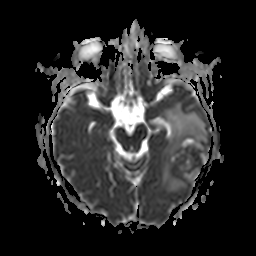
3 Tesla brain MRI. Series: apparent diffusion coefficient (ADC) map. Study: ring-enhancing brain masses.